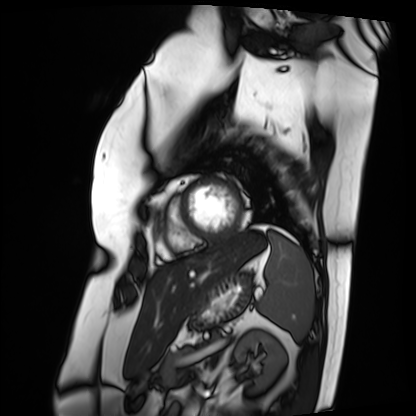
Clinical context: Cardiac MRI. Subject group: patient.